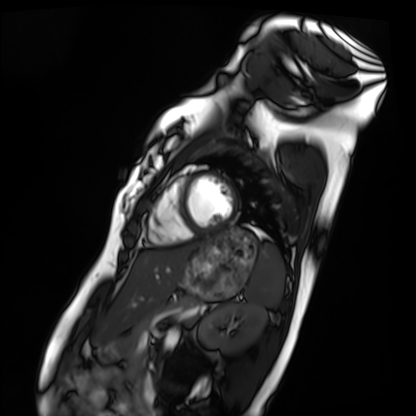
Case summary: Cardiac MRI. Subject group: healthy volunteer.